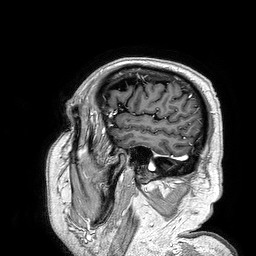
modality: 3 Tesla brain MRI; study: ring-enhancing brain masses.